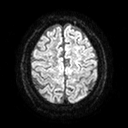
3 Tesla brain MRI.
Series: diffusion tensor imaging (medium iso).
Study: ring-enhancing brain masses.